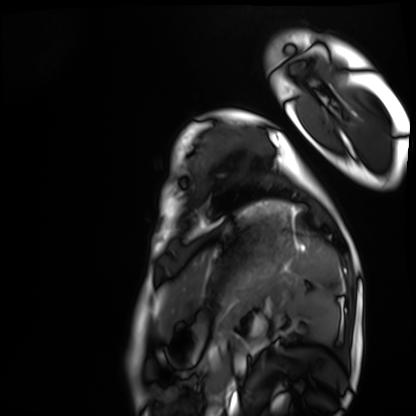
modality: cardiac MRI
cohort: healthy volunteer